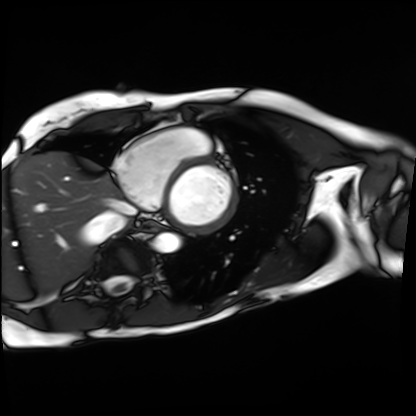
Cardiac MRI. Subject group: patient.